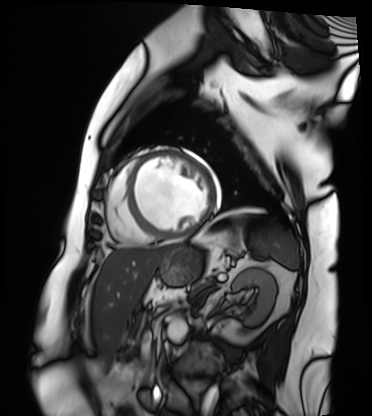
Q: What kind of scan is this?
A: Cardiac MRI.
Subject group: patient.